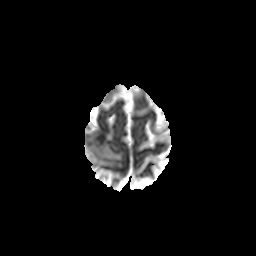
<study>
  <modality>
    <type>brain MRI</type>
    <field_strength>3T</field_strength>
  </modality>
  <series>diffusion-weighted imaging with CLEAR</series>
  <study_topic>ring-enhancing brain masses</study_topic>
</study>